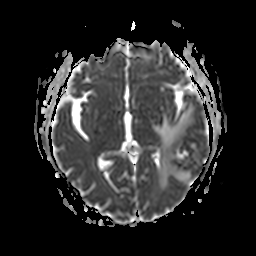
modality — 3 Tesla brain MRI
series — apparent diffusion coefficient (ADC) map
study — ring-enhancing brain masses